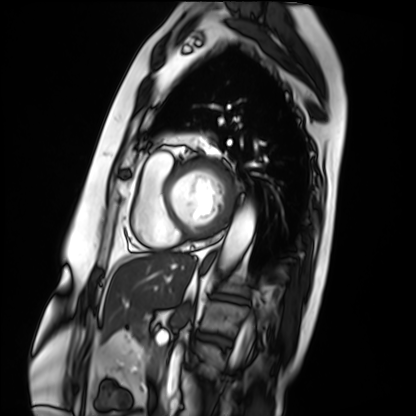
modality = cardiac MRI | subject group = patient.